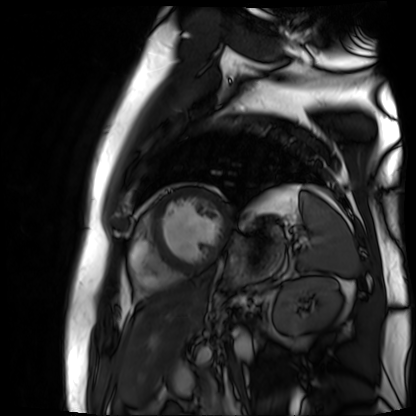
{
  "modality": "cardiac MR image of the myocardium",
  "cohort": "cardiac patient"
}